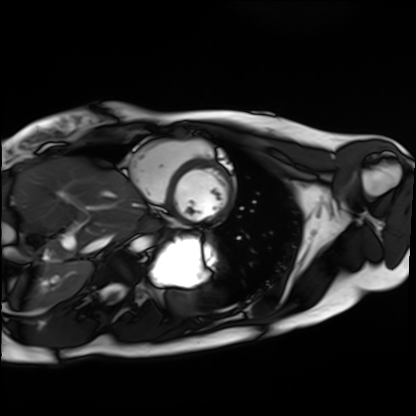
Cardiac MRI. Subject group: healthy volunteer.